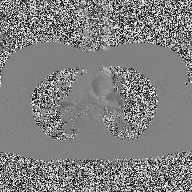
2D phase-contrast cine MRI of the ascending aorta, high-resolution GRAPPA acquisition.